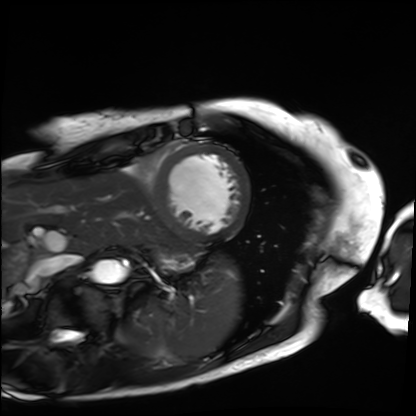
{
  "modality": "cardiac MRI",
  "cohort": "patient"
}